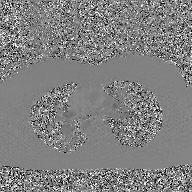
{"modality": {"type": "2D phase-contrast cine MRI", "region": "ascending aorta", "reconstruction": "GAN super-resolution reconstruction"}}